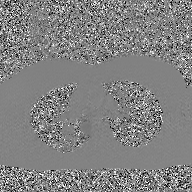
2D phase-contrast cine MRI of the ascending aorta, GAN super-resolution reconstruction.